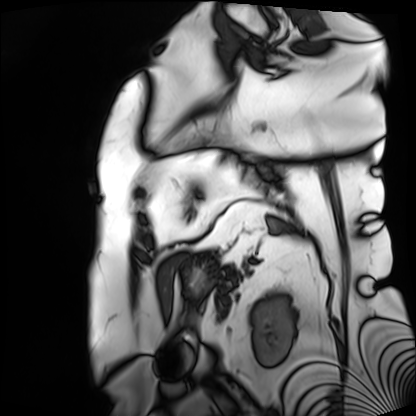
Case:
- modality · cardiac MRI
- subject group · patient